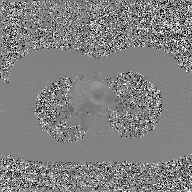
Summary: 2D phase-contrast cine MRI of the ascending aorta, GAN super-resolution reconstruction.